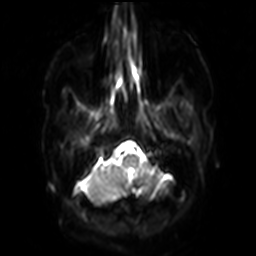
Clinical context: 3 Tesla brain MRI. Series: diffusion-weighted imaging with SENSE (WIP). Study: ring-enhancing brain masses.